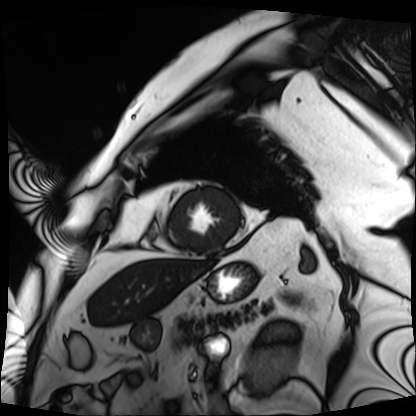
Summary:
Cardiac MRI. Subject group: patient.